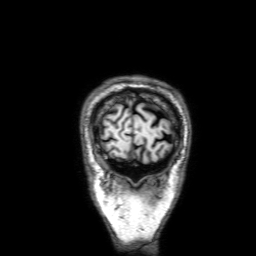
3 Tesla brain MRI.
Series: 3D T1-weighted with SENSE.
Study: ring-enhancing brain masses.